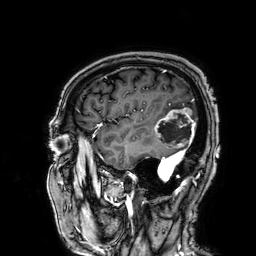
Summary:
3 Tesla brain MRI. Series: 3D T1-weighted. Study: ring-enhancing brain masses.